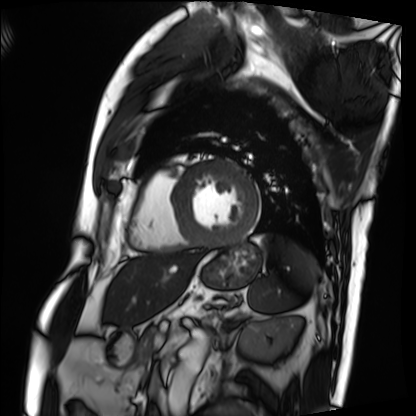
- modality · cardiac MRI
- subject group · patient